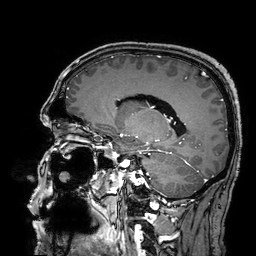
<scan>
<modality>
  <type>brain MRI</type>
  <field_strength>3T</field_strength>
</modality>
<series>3D T1-weighted turbo field echo with SENSE</series>
<study_topic>ring-enhancing brain masses</study_topic>
</scan>